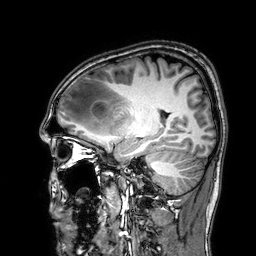
Clinical context: 3 Tesla brain MRI. Series: 3D T1-weighted. Study: ring-enhancing brain masses.